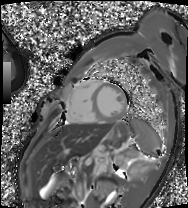
Summary: Cardiac MRI. Subject group: patient.